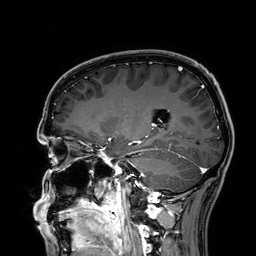
3 Tesla brain MRI. Series: 3D T1-weighted. Study: ring-enhancing brain masses.